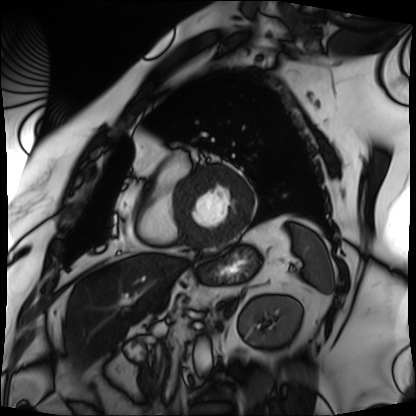
Cardiac MRI. Subject group: patient.